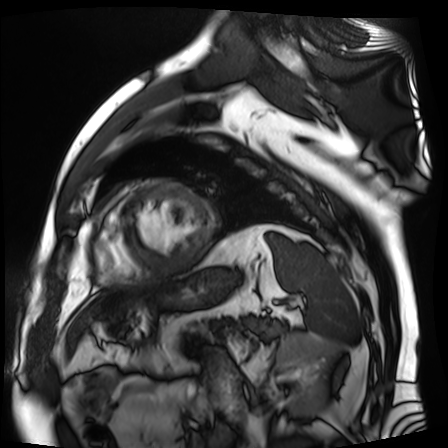
* modality: cardiac MR image of the myocardium
* subject cohort: cardiac patient